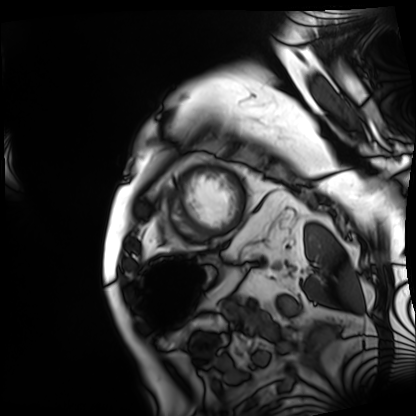
Cardiac MRI. Subject group: patient.